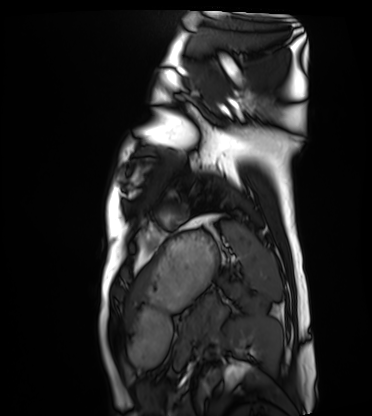
modality — cardiac MRI
subject group — healthy volunteer